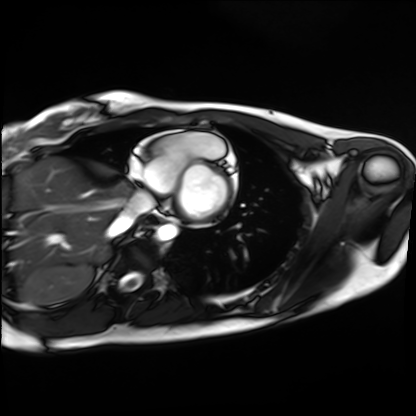
| field | value |
|---|---|
| modality | cardiac MRI |
| subject group | healthy volunteer |